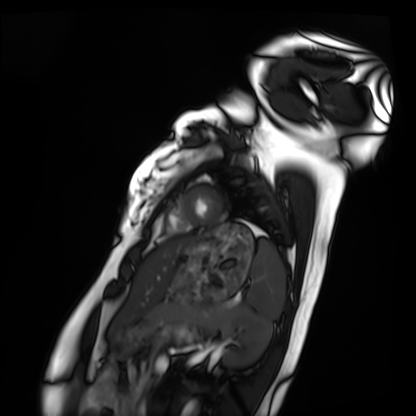
Case summary:
Cardiac MRI. Subject group: healthy volunteer.